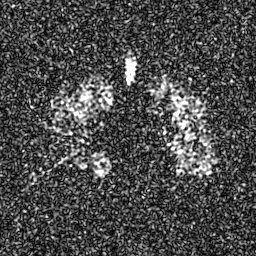
– modality: hyperpolarized 129Xe ventilation MRI of the lungs
– SNR level: 7 of 8 (the deposit holds this scan as its native image and as seven SNR-degraded versions)